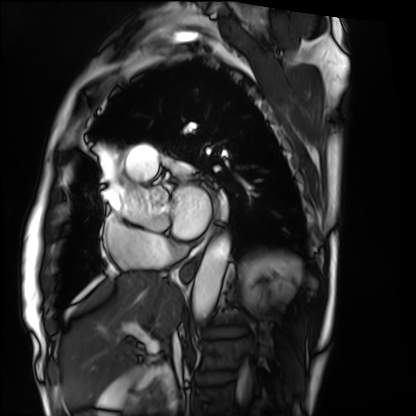
Cardiac MRI.
Subject group: patient.